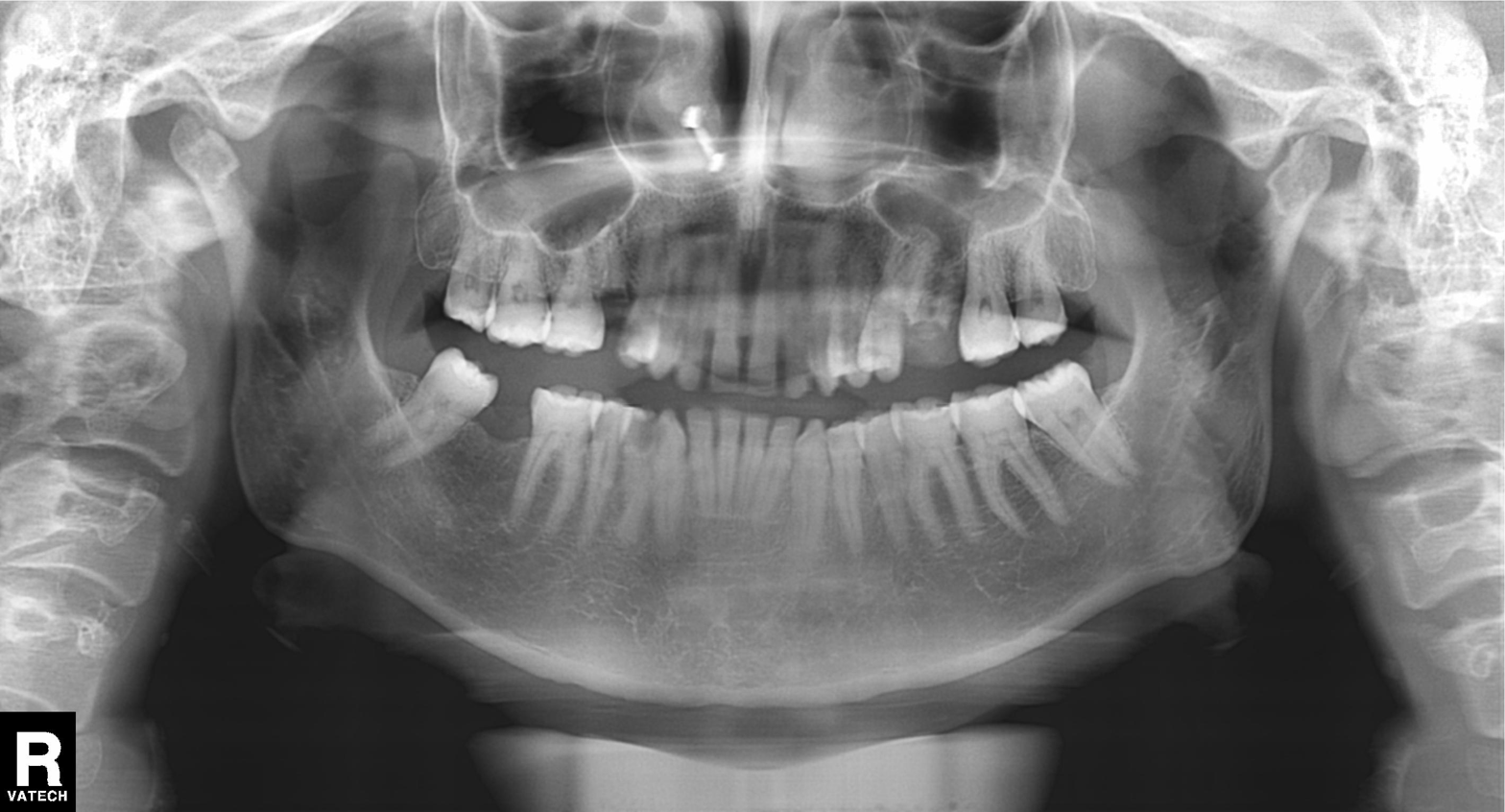
modality=panoramic dental radiograph (orthopantomogram) | finding=alveolar bone loss.